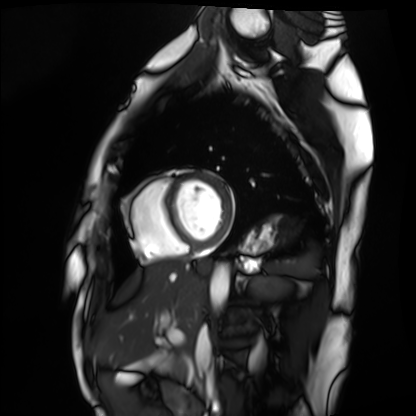
Summary: Cardiac MRI. Subject group: healthy volunteer.